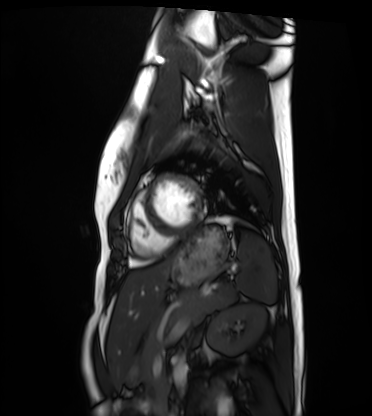
Cardiac MRI. Subject group: healthy volunteer.